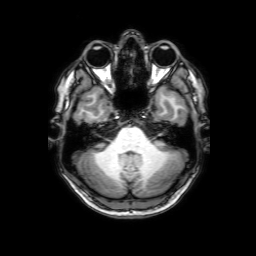
modality=3 Tesla brain MRI; series=3D T1-weighted with SENSE; study=ring-enhancing brain masses.